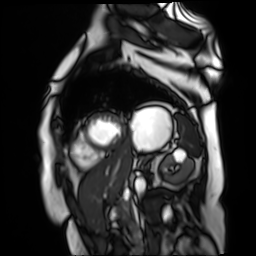
<study>
  <modality>cardiac MR image of the myocardium</modality>
  <cohort>cardiac patient</cohort>
</study>